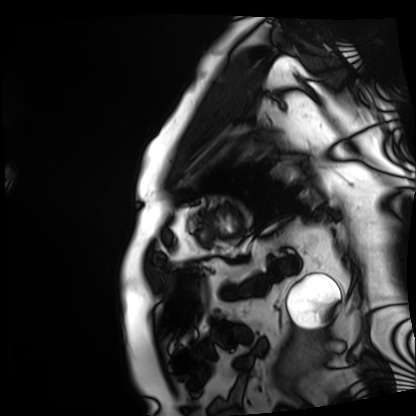
Cardiac MRI. Subject group: patient.